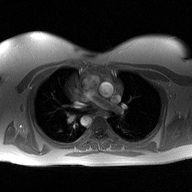
* modality · 2D phase-contrast cine MRI of the ascending aorta